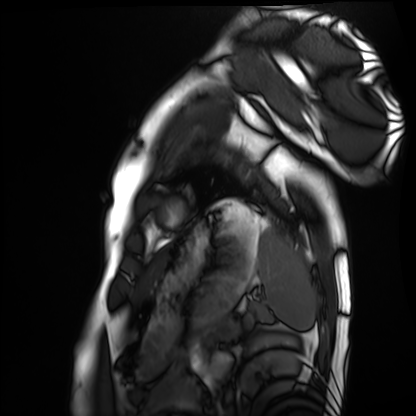
Cardiac MRI. Subject group: healthy volunteer.